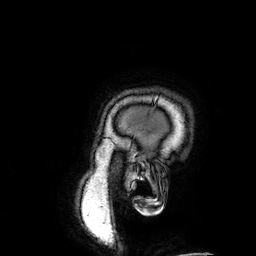
<record>
  <modality>
    <type>brain MRI</type>
    <field_strength>3T</field_strength>
  </modality>
  <series>3D T1-weighted</series>
  <study_topic>ring-enhancing brain masses</study_topic>
</record>